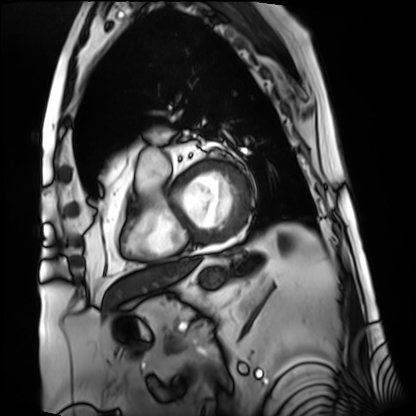
  modality: cardiac MRI
  cohort: patient